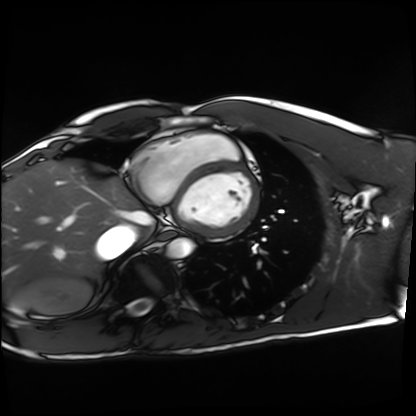
Cardiac MRI. Subject group: healthy volunteer.